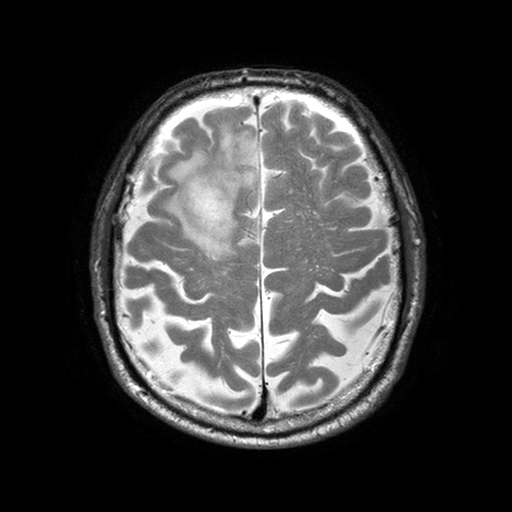
3 Tesla brain MRI. Series: T2-weighted turbo spin echo with SENSE. Study: ring-enhancing brain masses.